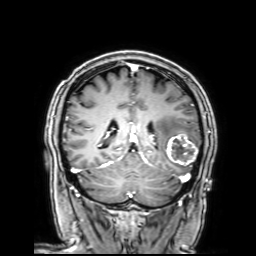
modality = 3 Tesla brain MRI; series = 3D T1-weighted with SENSE; study = ring-enhancing brain masses.